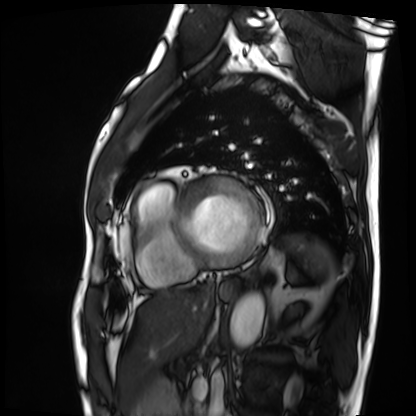
modality = cardiac MRI; subject group = patient.